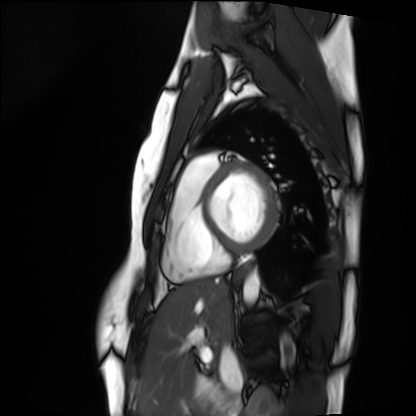
Cardiac MRI. Subject group: healthy volunteer.